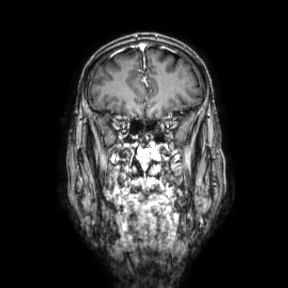
{
  "modality": {
    "type": "brain MRI",
    "field_strength": "3T"
  },
  "series": "coronal",
  "study_topic": "ring-enhancing brain masses"
}